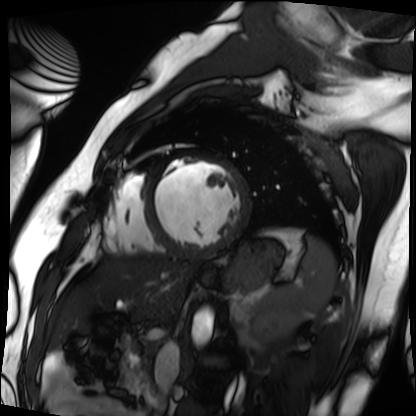
Summary:
Cardiac MRI. Subject group: patient.